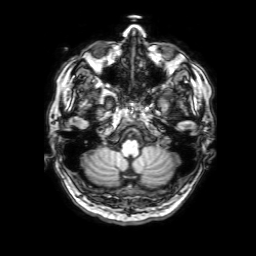
3 Tesla brain MRI. Series: 3D T1-weighted with SENSE. Study: ring-enhancing brain masses.